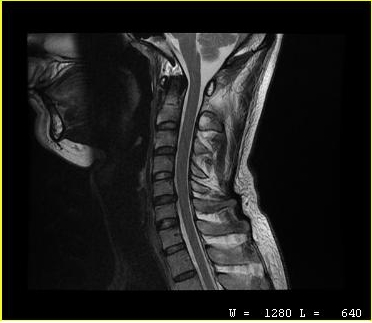
MRI of the cervical spine.
Study: cervical spondylosis.